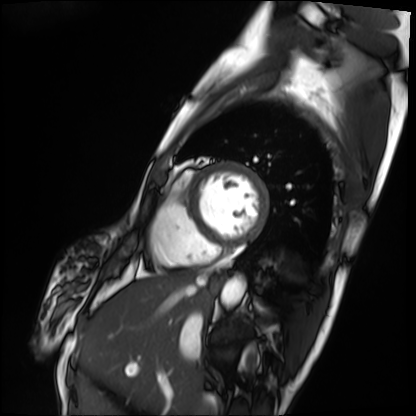
* modality: cardiac MRI
* subject group: patient